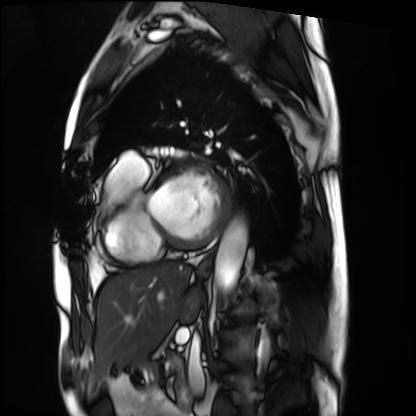
Summary:
Cardiac MRI. Subject group: patient.